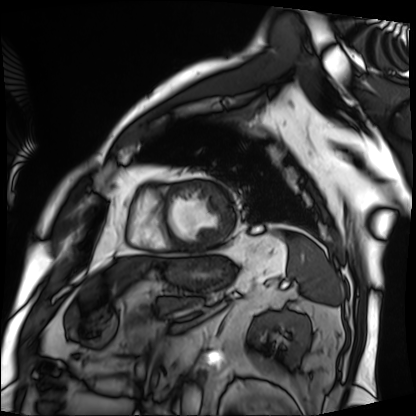
* modality: cardiac MRI
* subject group: patient